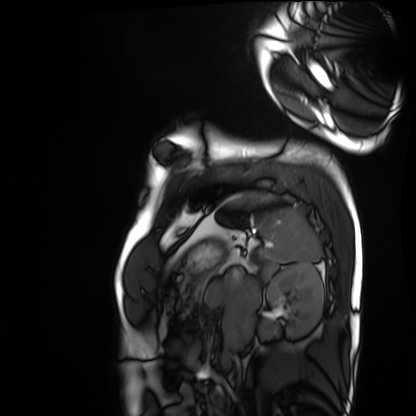
{"modality": "cardiac MRI", "cohort": "healthy volunteer"}